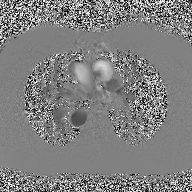
modality = 2D phase-contrast cine MRI of the ascending aorta.